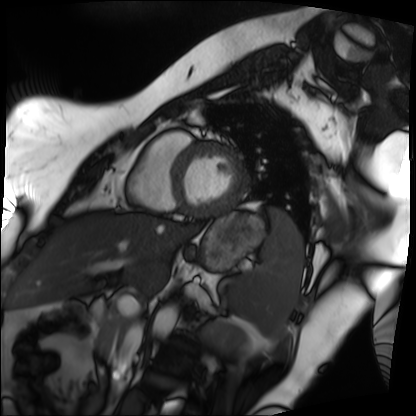
Cardiac MRI. Subject group: patient.